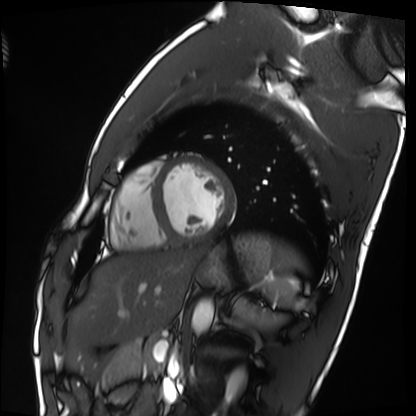
  modality: cardiac MRI
  cohort: healthy volunteer